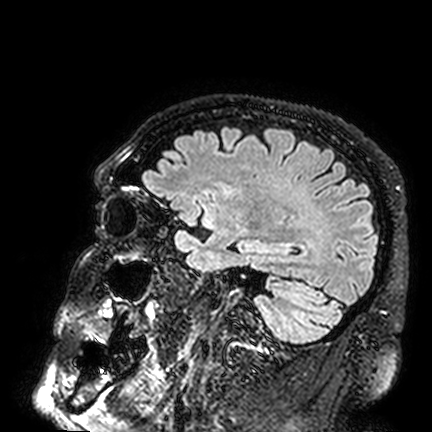
Summary:
3 Tesla brain MRI. Series: FLAIR VISTA. Study: ring-enhancing brain masses.